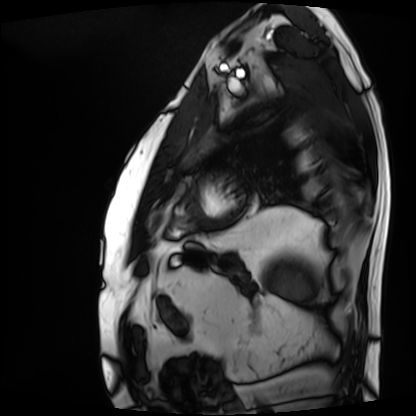
  modality: cardiac MRI
  cohort: patient